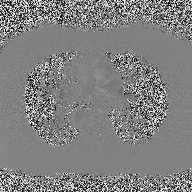
Summary: 2D phase-contrast cine MRI of the ascending aorta, high-resolution GRAPPA acquisition.